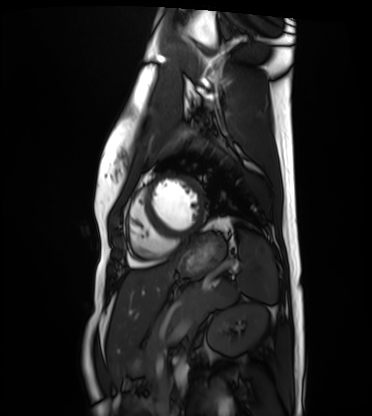
Cardiac MRI.
Subject group: healthy volunteer.